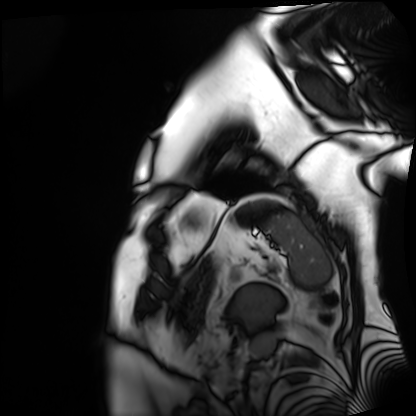
  modality: cardiac MRI
  cohort: patient